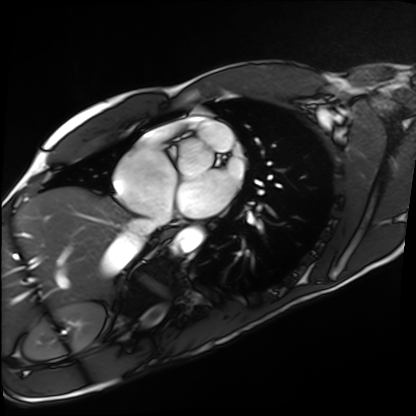
modality = cardiac MRI, subject group = healthy volunteer.